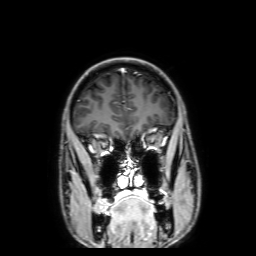
3 Tesla brain MRI.
Series: 3D T1-weighted with SENSE.
Study: ring-enhancing brain masses.